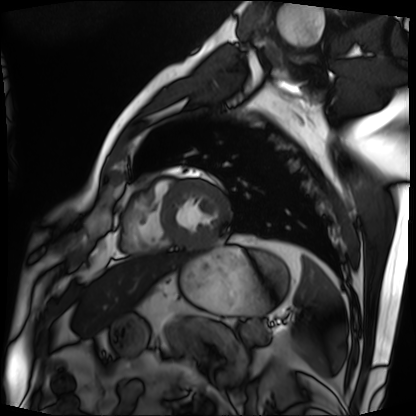
– modality — cardiac MRI
– subject group — patient